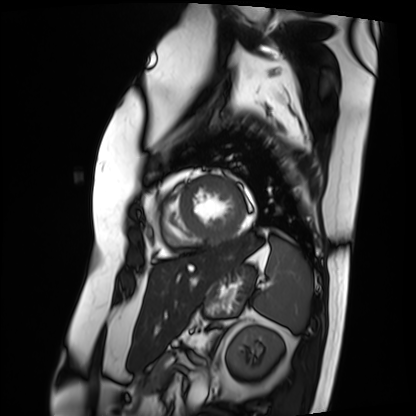
Clinical context:
Cardiac MRI. Subject group: patient.